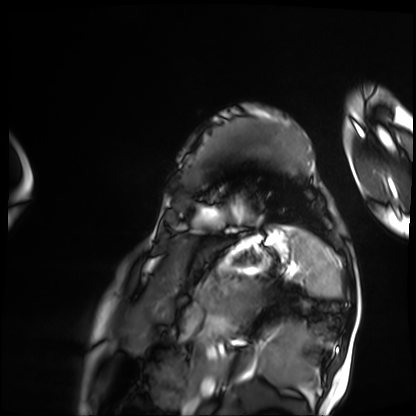
<record>
  <modality>cardiac MRI</modality>
  <cohort>patient</cohort>
</record>